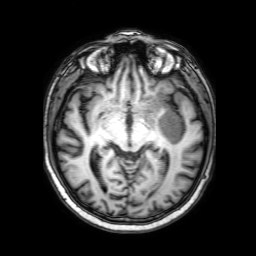
3 Tesla brain MRI.
Series: 3D T1-weighted with SENSE.
Study: ring-enhancing brain masses.